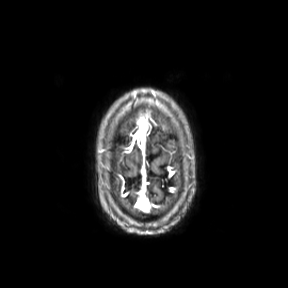
Q: What kind of scan is this?
A: 3 Tesla brain MRI.
Q: Series?
A: Axial.
Study: ring-enhancing brain masses.